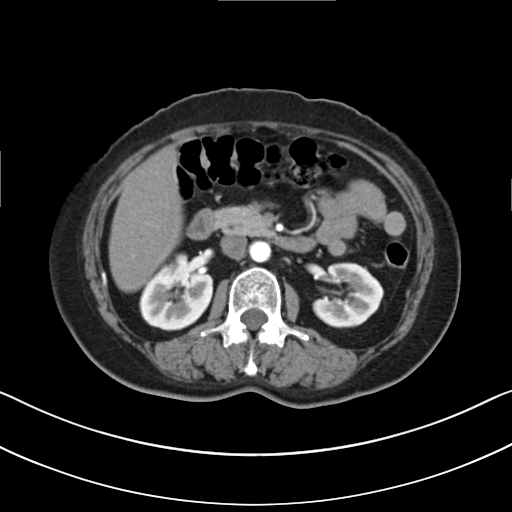
Multiphase abdominal CT, liver, arterial phase. Patient: female, age 52.